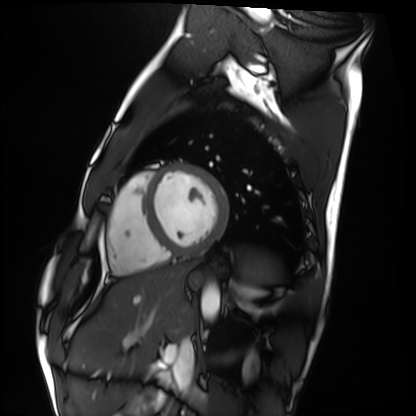
modality: cardiac MRI | subject group: healthy volunteer.